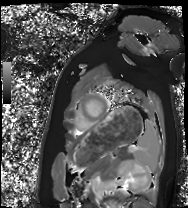
Cardiac MRI. Subject group: healthy volunteer.